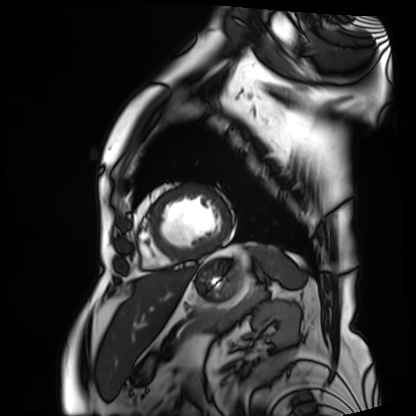
Cardiac MRI.
Subject group: patient.